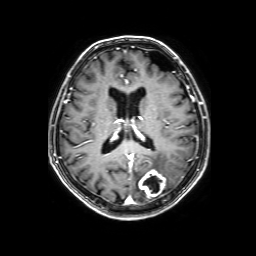
3 Tesla brain MRI. Series: 3D T1-weighted with SENSE. Study: ring-enhancing brain masses.